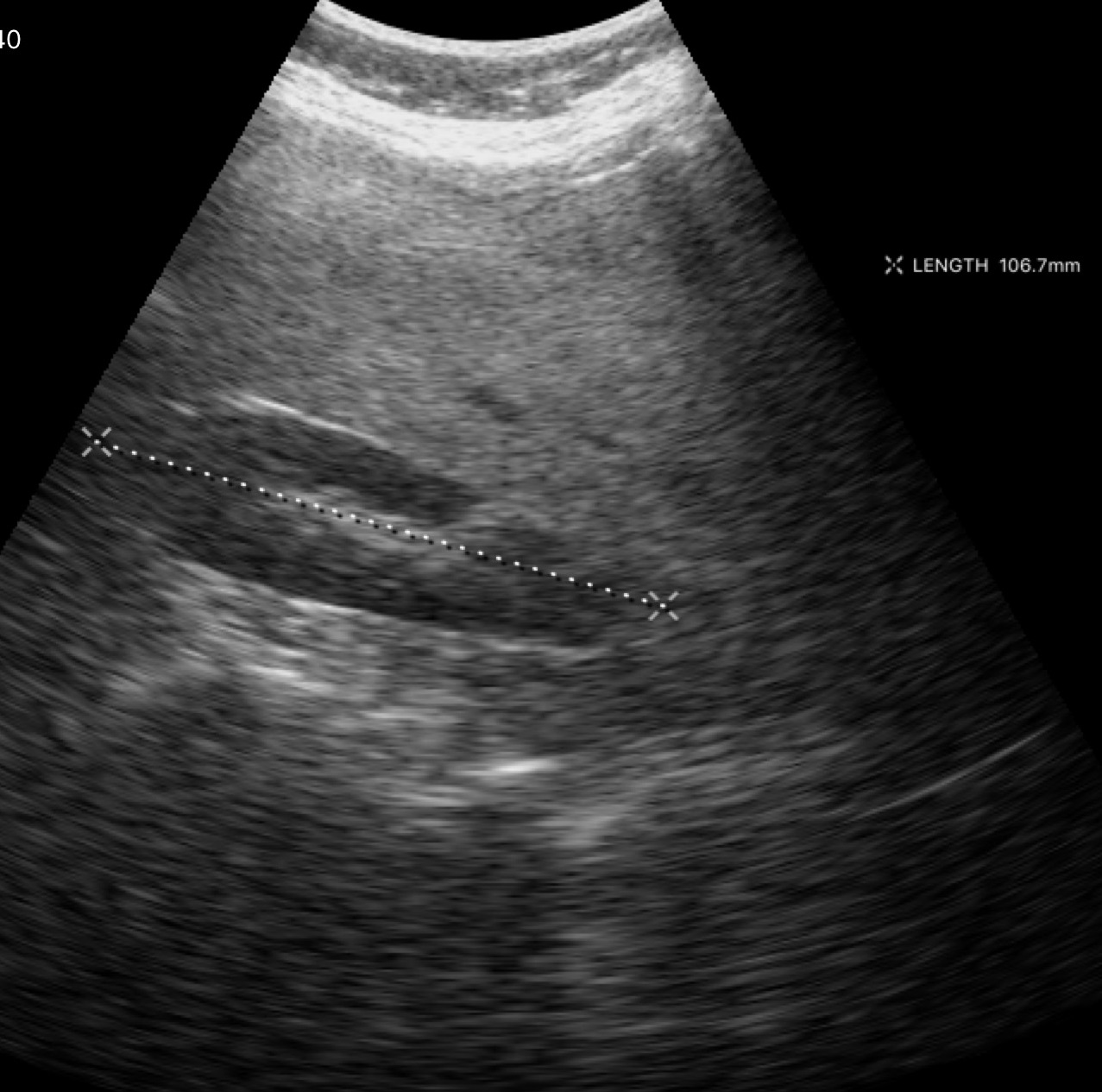
Genitourinary ultrasound.